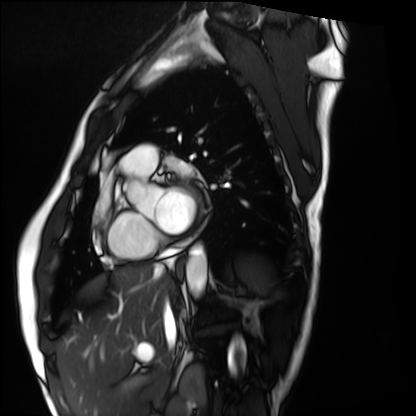
modality: cardiac MRI
cohort: healthy volunteer